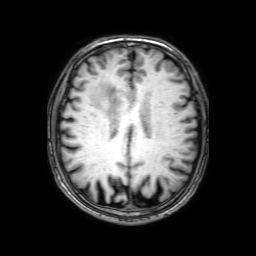
3 Tesla brain MRI. Series: 3D T1-weighted with SENSE. Study: ring-enhancing brain masses.